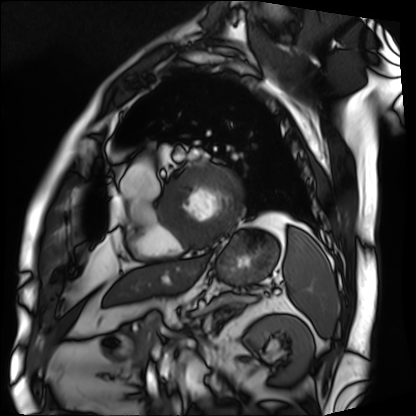
Q: What kind of scan is this?
A: Cardiac MRI.
Subject group: patient.